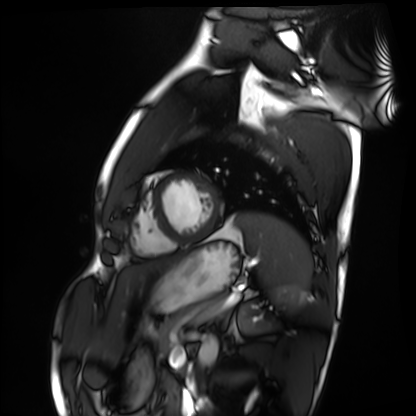
{"modality": "cardiac MRI", "cohort": "healthy volunteer"}